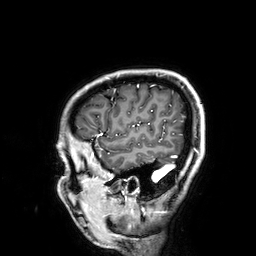
Q: What kind of scan is this?
A: 3 Tesla brain MRI.
Q: Series?
A: 3D T1-weighted.
Study: ring-enhancing brain masses.